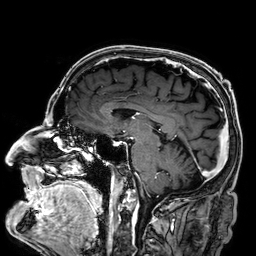
3 Tesla brain MRI. Series: 3D T1-weighted. Study: ring-enhancing brain masses.